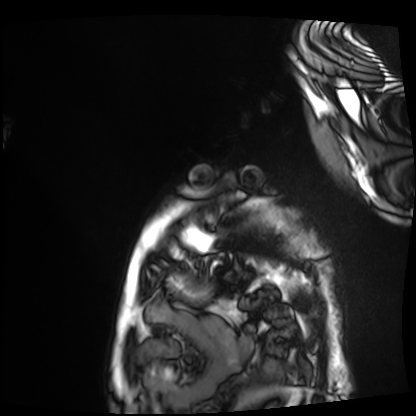
Cardiac MRI. Subject group: patient.